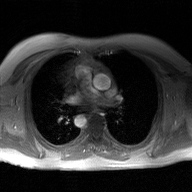
<scan>
<modality>
  <type>2D phase-contrast cine MRI</type>
  <region>ascending aorta</region>
  <reconstruction>GAN super-resolution reconstruction</reconstruction>
</modality>
</scan>